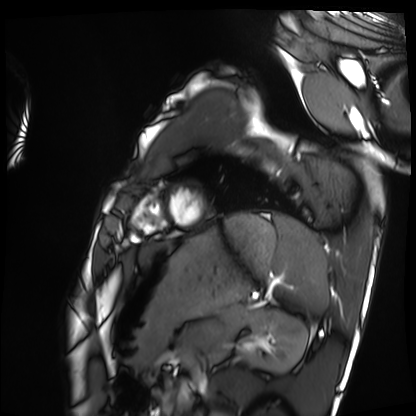
<record>
<modality>cardiac MRI</modality>
<cohort>healthy volunteer</cohort>
</record>